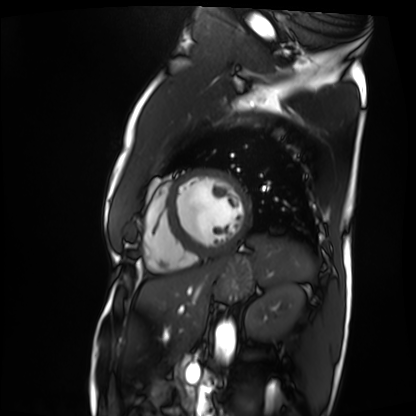
- modality — cardiac MRI
- subject group — patient